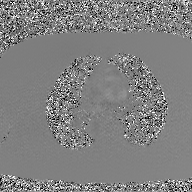
2D phase-contrast cine MRI of the ascending aorta, GAN super-resolution reconstruction.